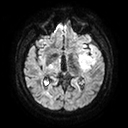
Case summary: 3 Tesla brain MRI. Series: diffusion tensor imaging (medium iso). Study: ring-enhancing brain masses.